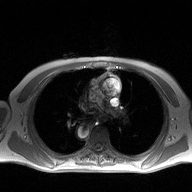
Case:
* modality — 2D phase-contrast cine MRI of the ascending aorta